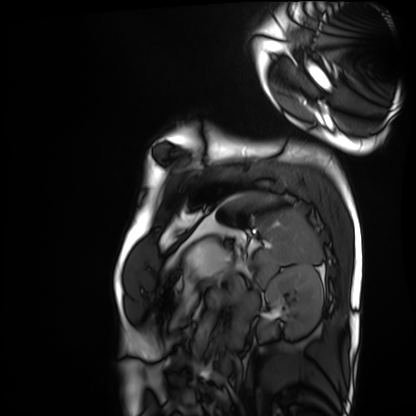
Cardiac MRI. Subject group: healthy volunteer.